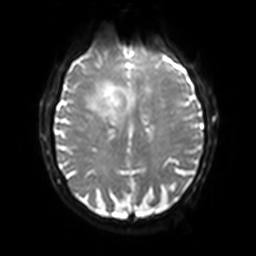
3 Tesla brain MRI. Series: diffusion-weighted imaging with SENSE (WIP). Study: ring-enhancing brain masses.